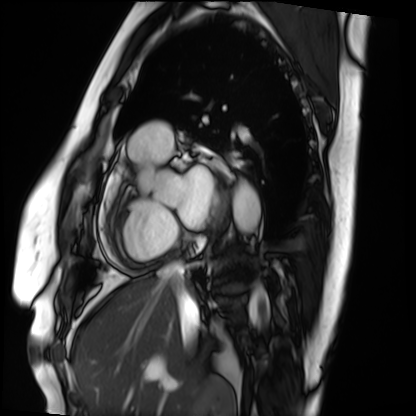
Case summary:
Cardiac MRI. Subject group: patient.